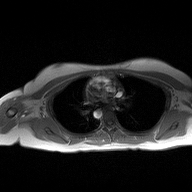
2D phase-contrast cine MRI of the ascending aorta, high-resolution GRAPPA acquisition.